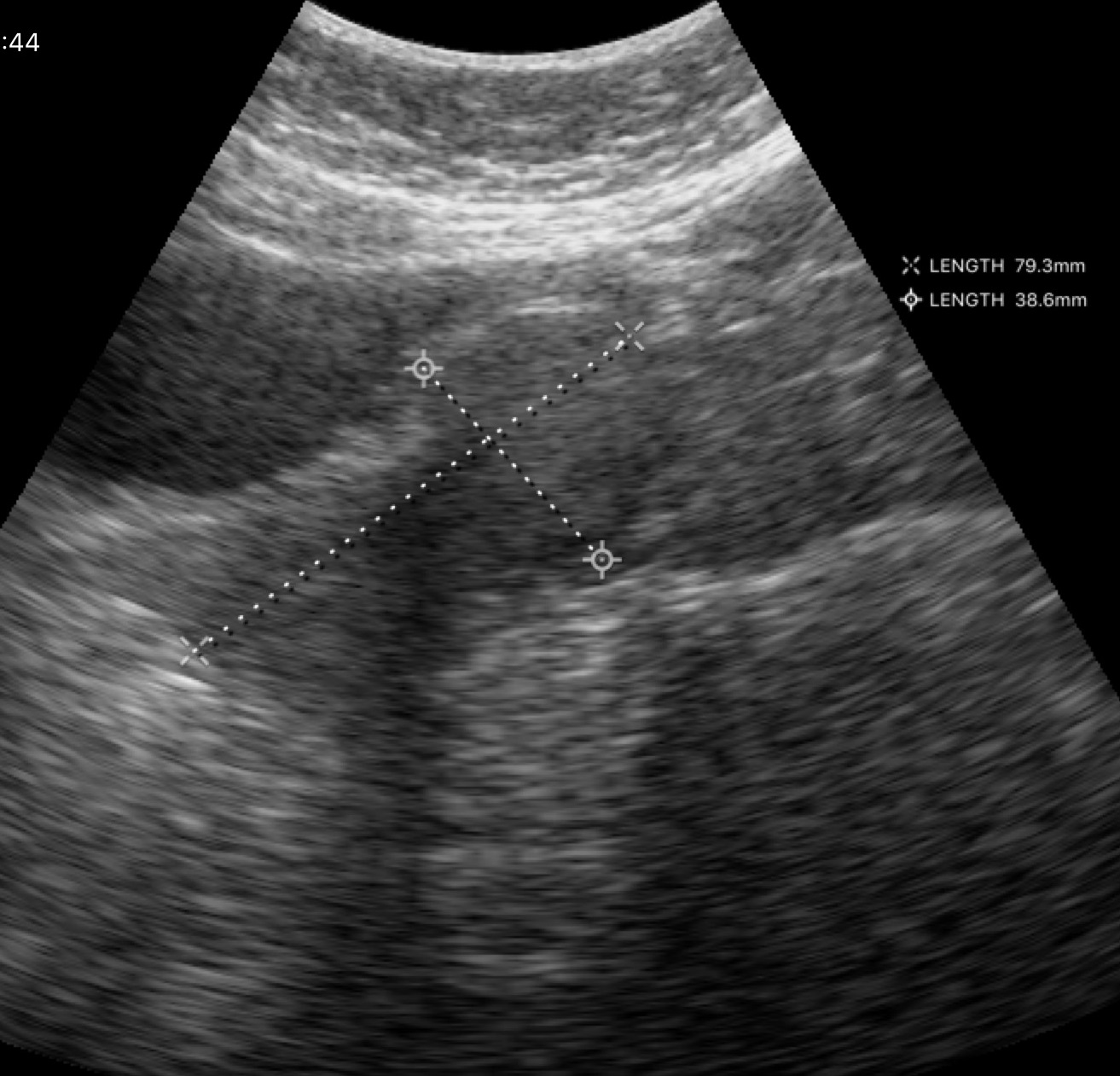
Q: What kind of scan is this?
A: Genitourinary ultrasound.